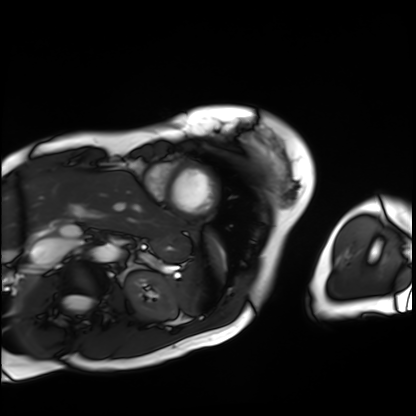
modality: cardiac MRI | subject group: patient.